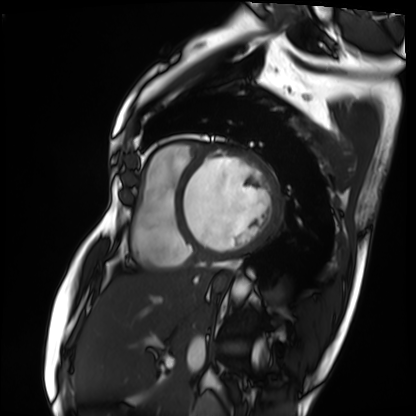
– modality · cardiac MRI
– subject group · patient